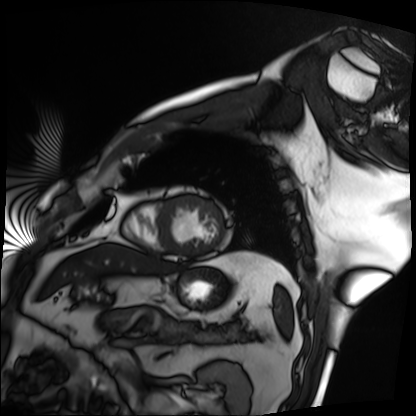
Clinical context:
Cardiac MRI. Subject group: patient.